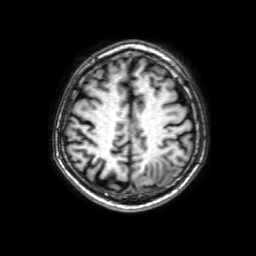
modality: 3 Tesla brain MRI; series: 3D T1-weighted with SENSE; study: ring-enhancing brain masses.